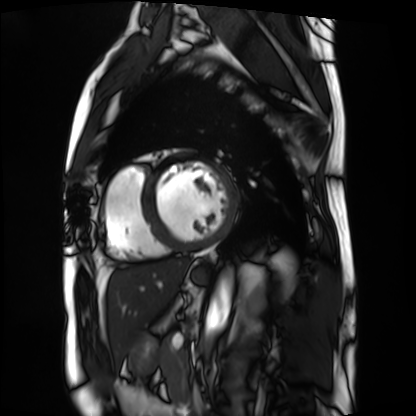
Q: What kind of scan is this?
A: Cardiac MRI.
Subject group: patient.